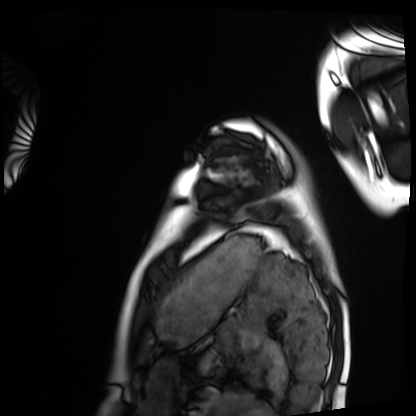
• modality: cardiac MRI
• subject group: healthy volunteer